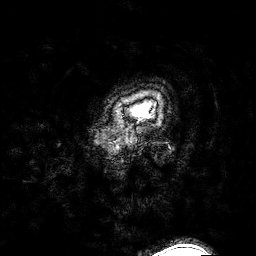
3 Tesla brain MRI.
Series: 3D T1-weighted turbo field echo with SENSE.
Study: ring-enhancing brain masses.